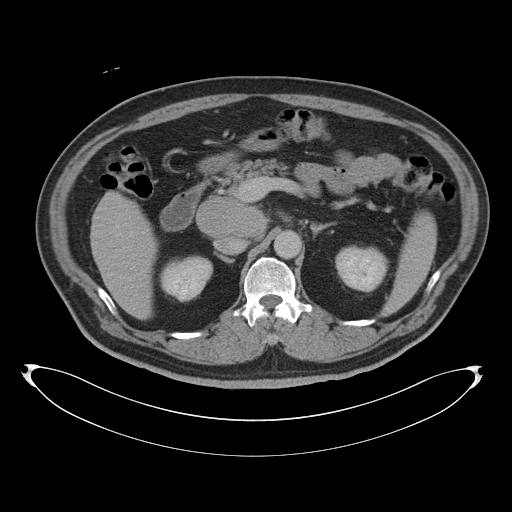
| field | value |
|---|---|
| modality | multiphase abdominal CT, liver, delayed phase |
| patient | male, age 53 |
| history | cirrhosis |